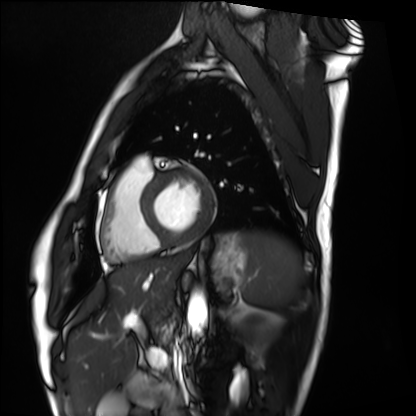
modality = cardiac MRI; subject group = healthy volunteer.